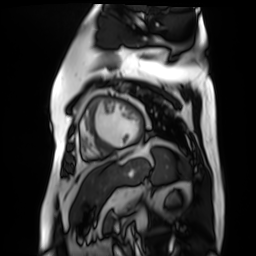
– modality · cardiac MR image of the myocardium
– subject cohort · cardiac patient